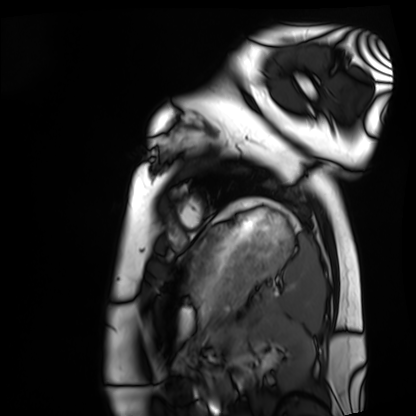
Case summary:
Cardiac MRI. Subject group: healthy volunteer.